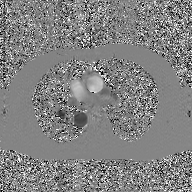
Q: What kind of scan is this?
A: 2D phase-contrast cine MRI of the ascending aorta, GAN super-resolution reconstruction.